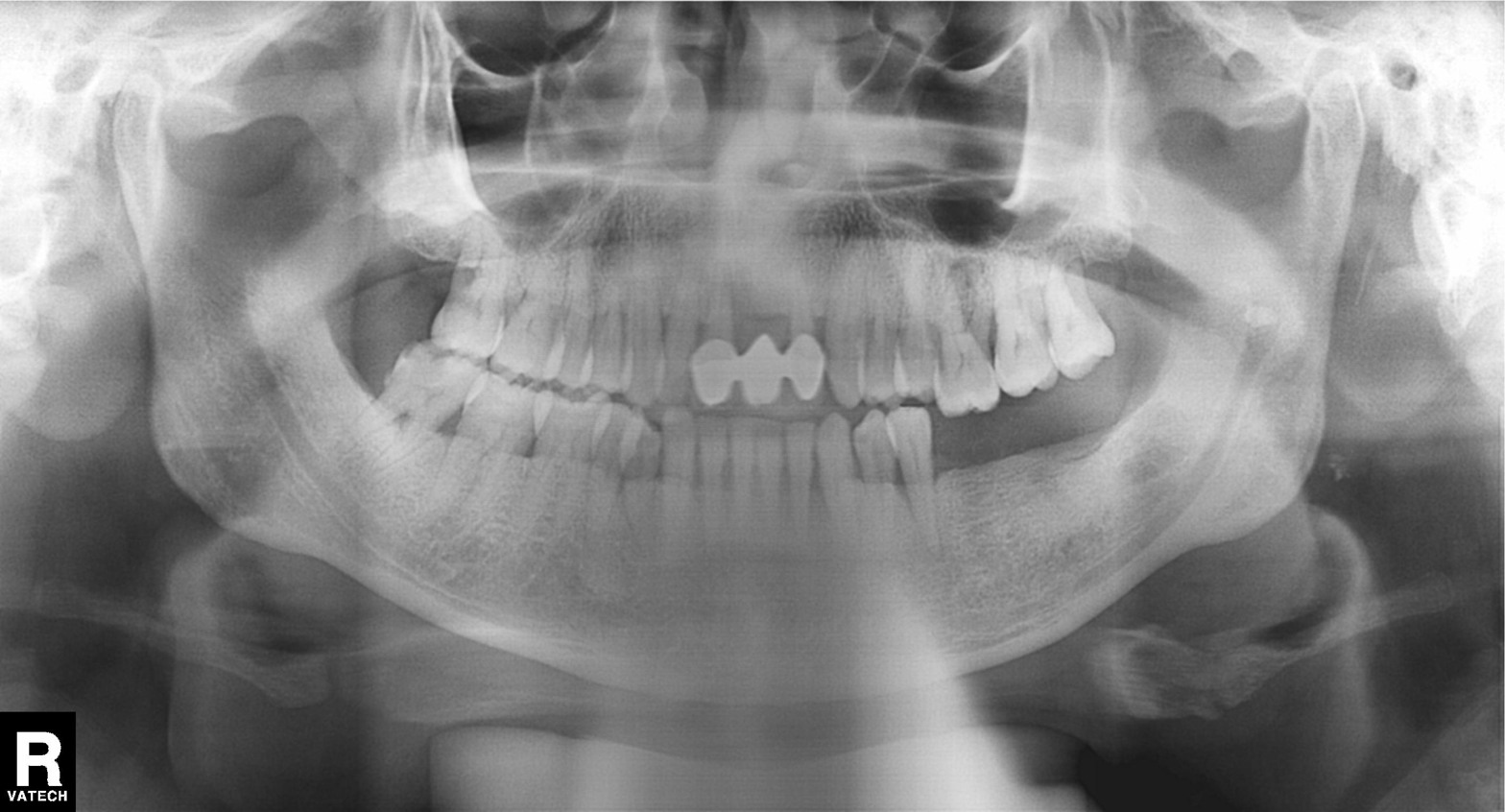
modality: panoramic dental radiograph (orthopantomogram); finding: tooth impaction.